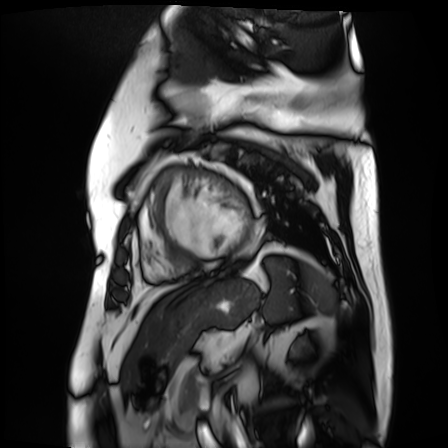
Case summary: Cardiac MR image of the myocardium. Subject cohort: cardiac patient.